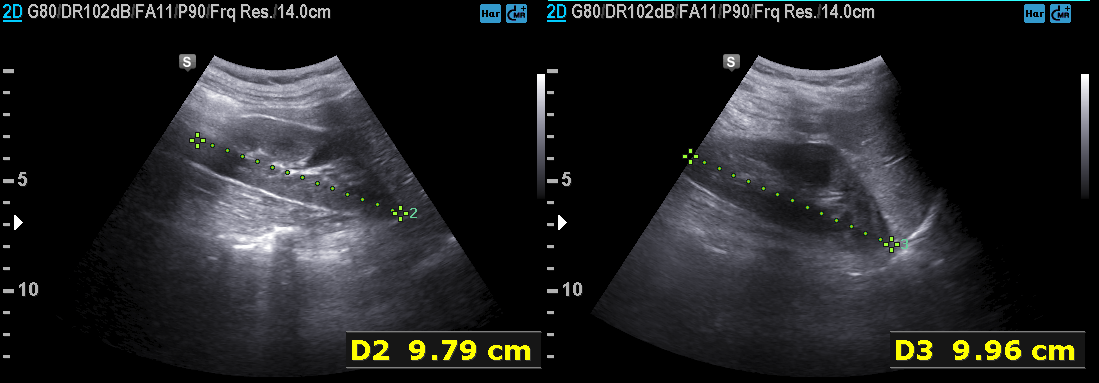
Genitourinary ultrasound.